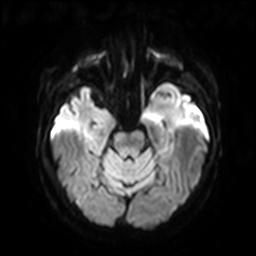
– modality: 3 Tesla brain MRI
– series: diffusion-weighted imaging with SENSE (WIP)
– study: ring-enhancing brain masses